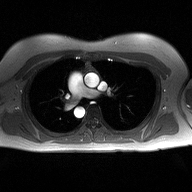
modality: 2D phase-contrast cine MRI of the ascending aorta.